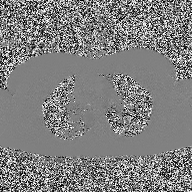
<study>
  <modality>
    <type>2D phase-contrast cine MRI</type>
    <region>ascending aorta</region>
    <reconstruction>high-resolution GRAPPA acquisition</reconstruction>
  </modality>
</study>